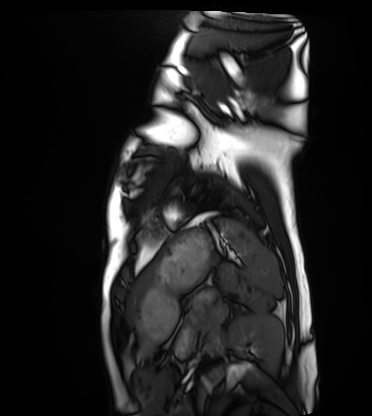
Summary: Cardiac MRI. Subject group: healthy volunteer.